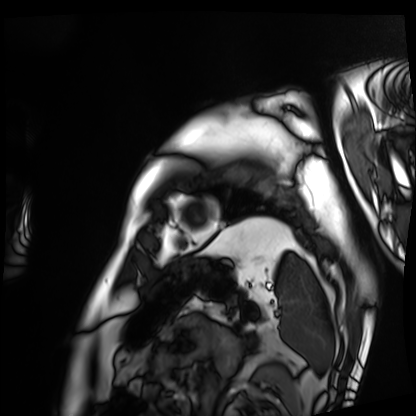
Q: What kind of scan is this?
A: Cardiac MRI.
Subject group: patient.